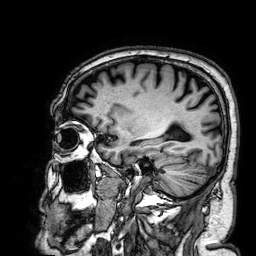
{
  "modality": {
    "type": "brain MRI",
    "field_strength": "3T"
  },
  "series": "3D T1-weighted",
  "study_topic": "ring-enhancing brain masses"
}